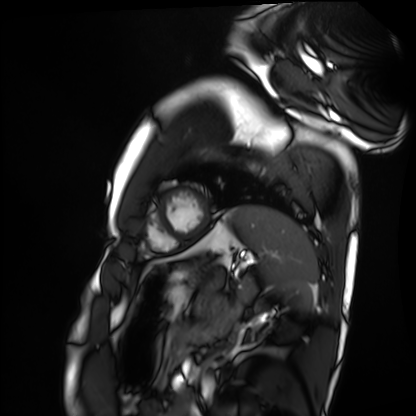
| field | value |
|---|---|
| modality | cardiac MRI |
| subject group | healthy volunteer |